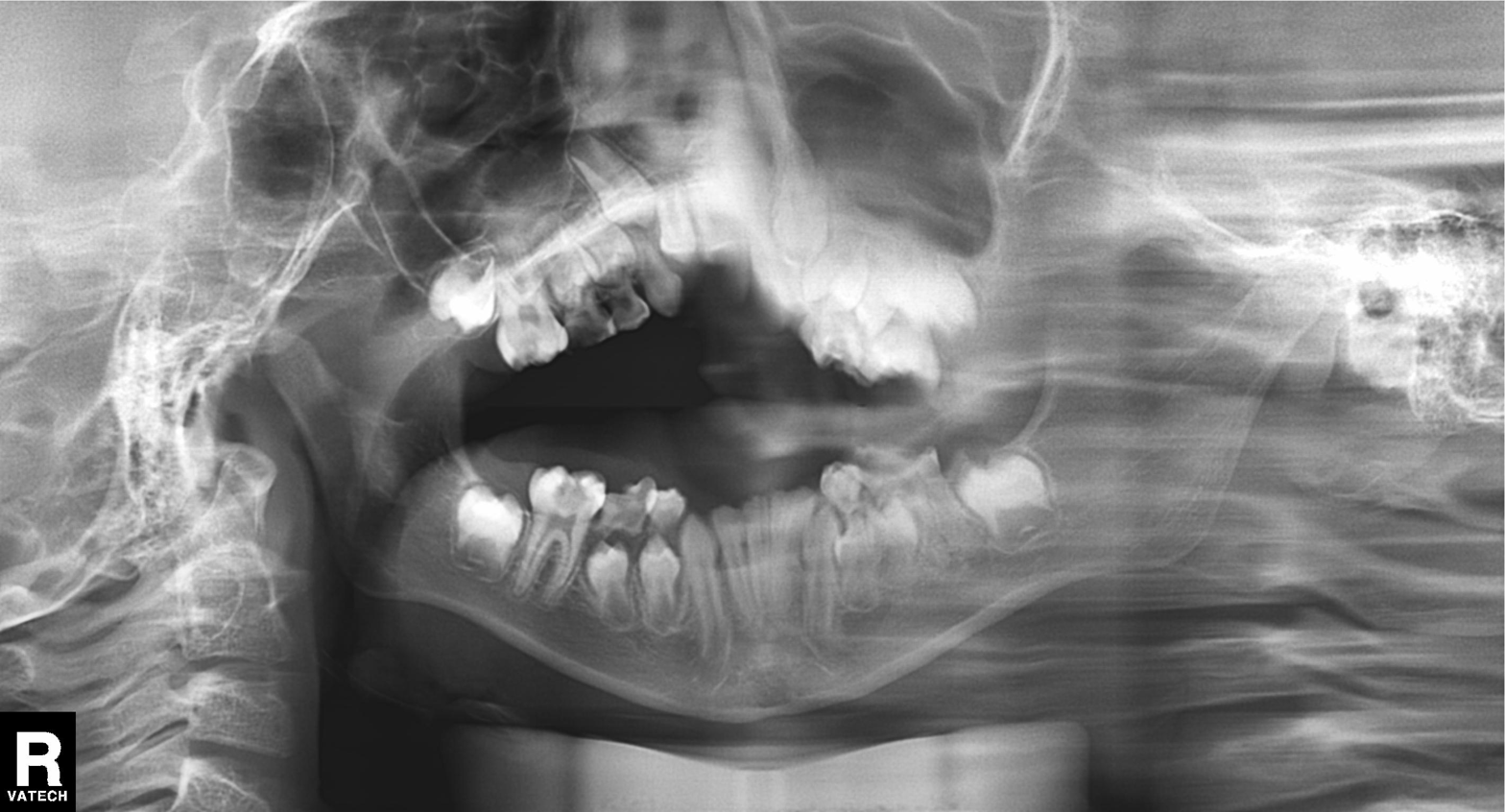
Panoramic dental radiograph (orthopantomogram). Finding: alveolar bone loss.